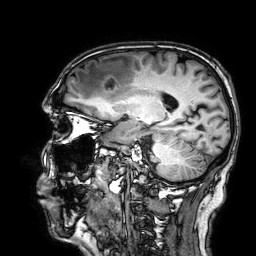
3 Tesla brain MRI. Series: 3D T1-weighted. Study: ring-enhancing brain masses.